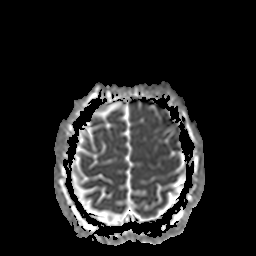
Clinical context: 3 Tesla brain MRI. Study: ring-enhancing brain masses.